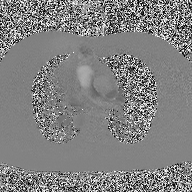
Summary: 2D phase-contrast cine MRI of the ascending aorta, high-resolution GRAPPA acquisition.